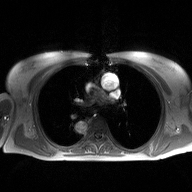
• modality · 2D phase-contrast cine MRI of the ascending aorta